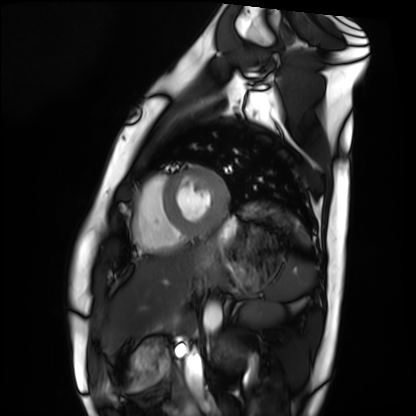
Q: What kind of scan is this?
A: Cardiac MRI.
Subject group: healthy volunteer.